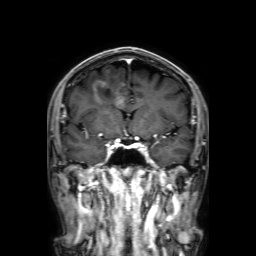
Clinical context: 3 Tesla brain MRI. Series: 3D T1-weighted with SENSE. Study: ring-enhancing brain masses.